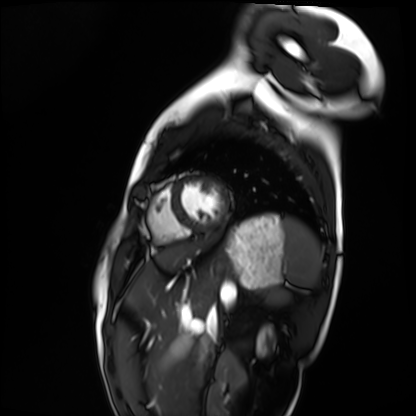
Clinical context: Cardiac MRI. Subject group: healthy volunteer.